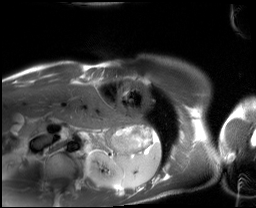
modality: cardiac MRI, subject group: healthy volunteer.